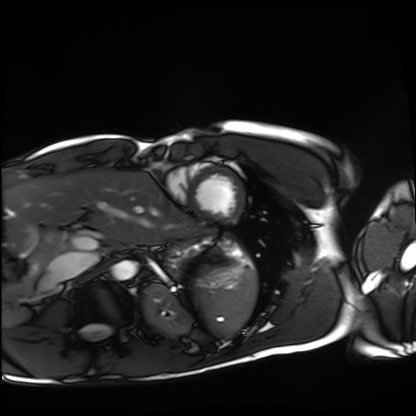
Cardiac MRI.
Subject group: healthy volunteer.